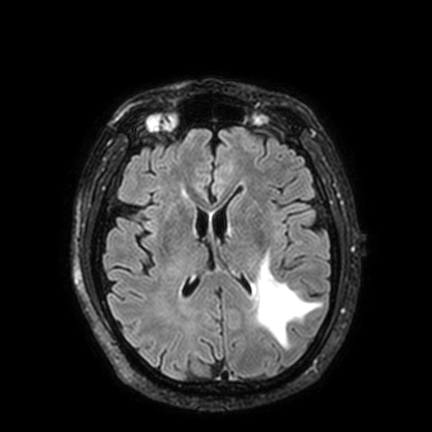
<study>
<modality>
  <type>brain MRI</type>
  <field_strength>3T</field_strength>
</modality>
<series>FLAIR VISTA with SENSE</series>
<study_topic>ring-enhancing brain masses</study_topic>
</study>